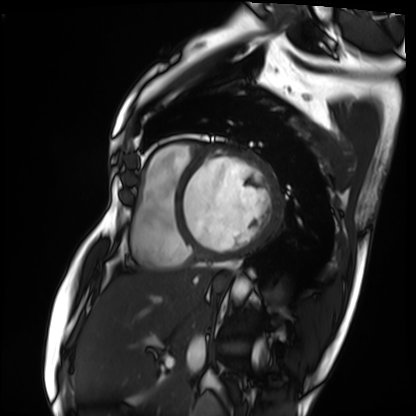
Q: What kind of scan is this?
A: Cardiac MRI.
Subject group: patient.